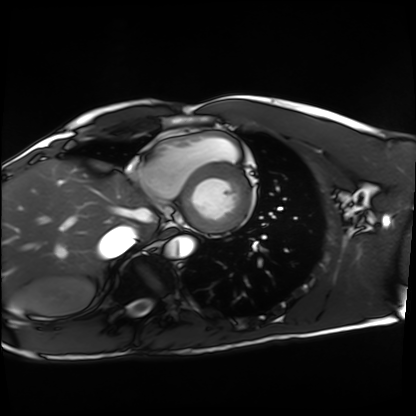
modality: cardiac MRI; subject group: healthy volunteer.